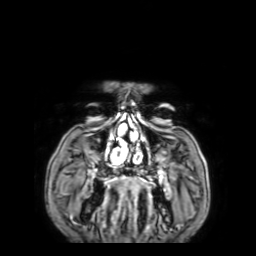
Q: What kind of scan is this?
A: 3 Tesla brain MRI.
Q: Series?
A: 3D T1-weighted with SENSE.
Study: ring-enhancing brain masses.